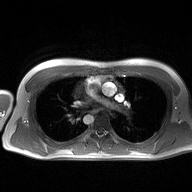
2D phase-contrast cine MRI of the ascending aorta, high-resolution GRAPPA acquisition.